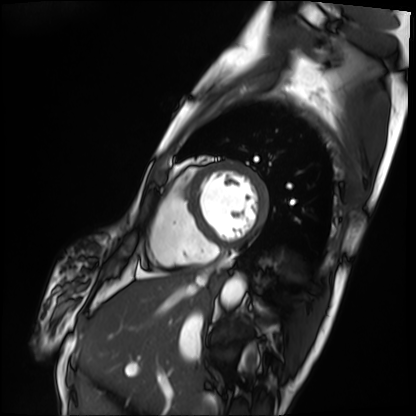
Q: What kind of scan is this?
A: Cardiac MRI.
Subject group: patient.